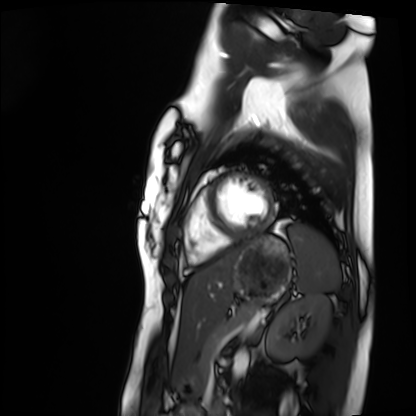
modality — cardiac MRI; subject group — healthy volunteer.